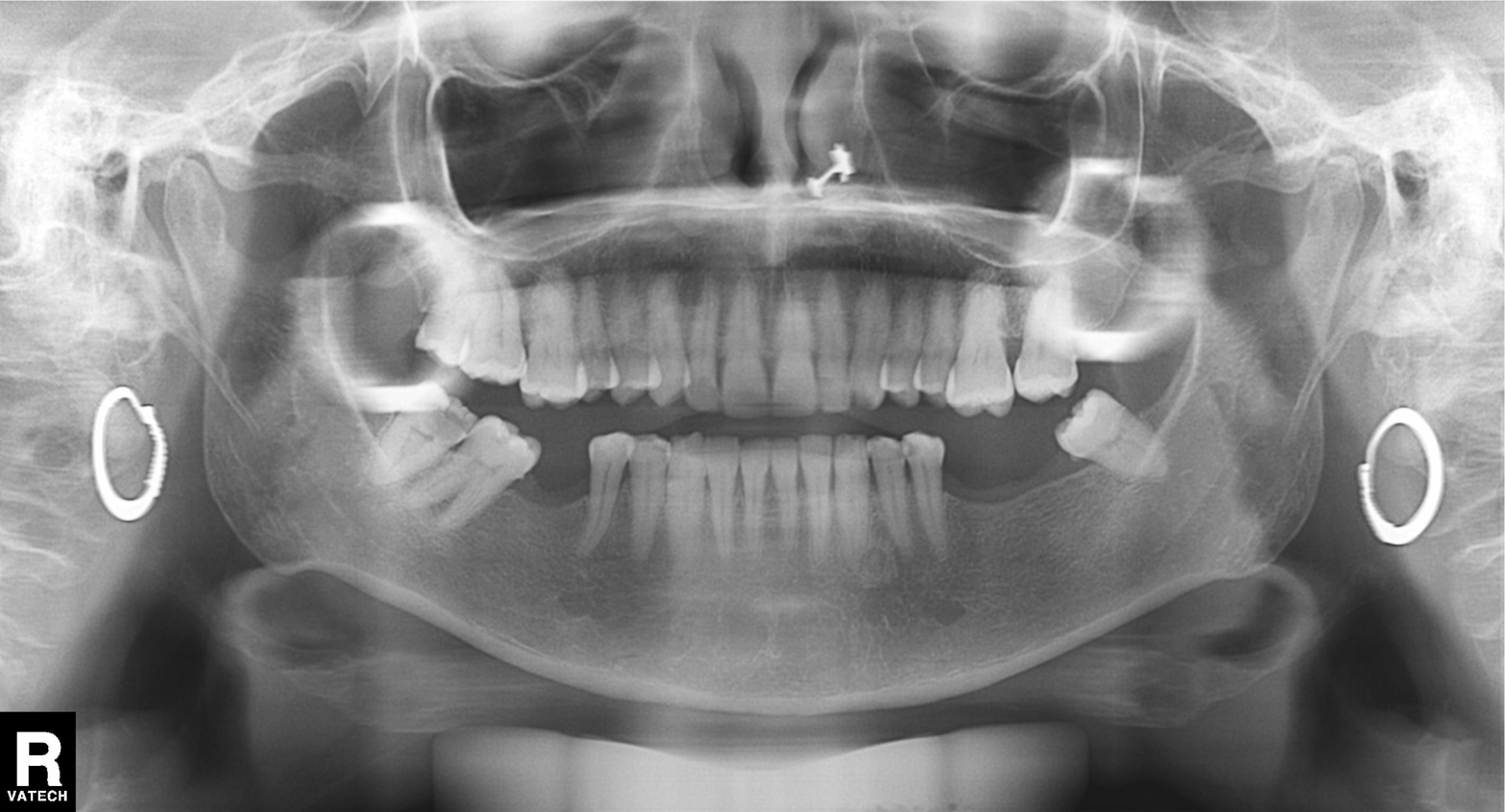
Panoramic dental radiograph (orthopantomogram). Finding: alveolar bone loss.